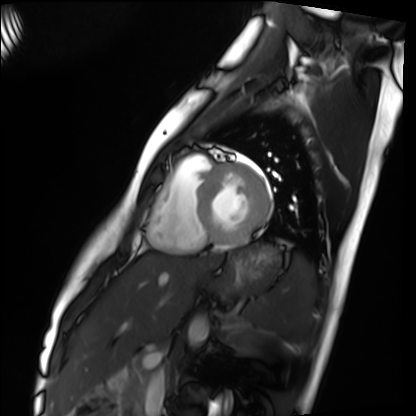
modality=cardiac MRI; subject group=healthy volunteer.